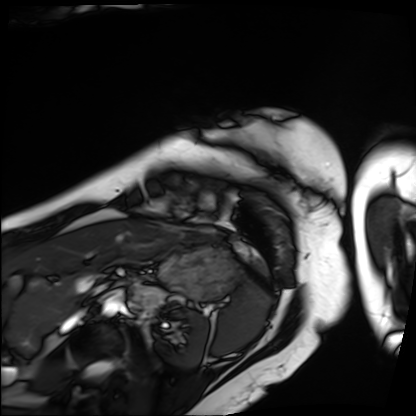
Summary:
Cardiac MRI. Subject group: patient.